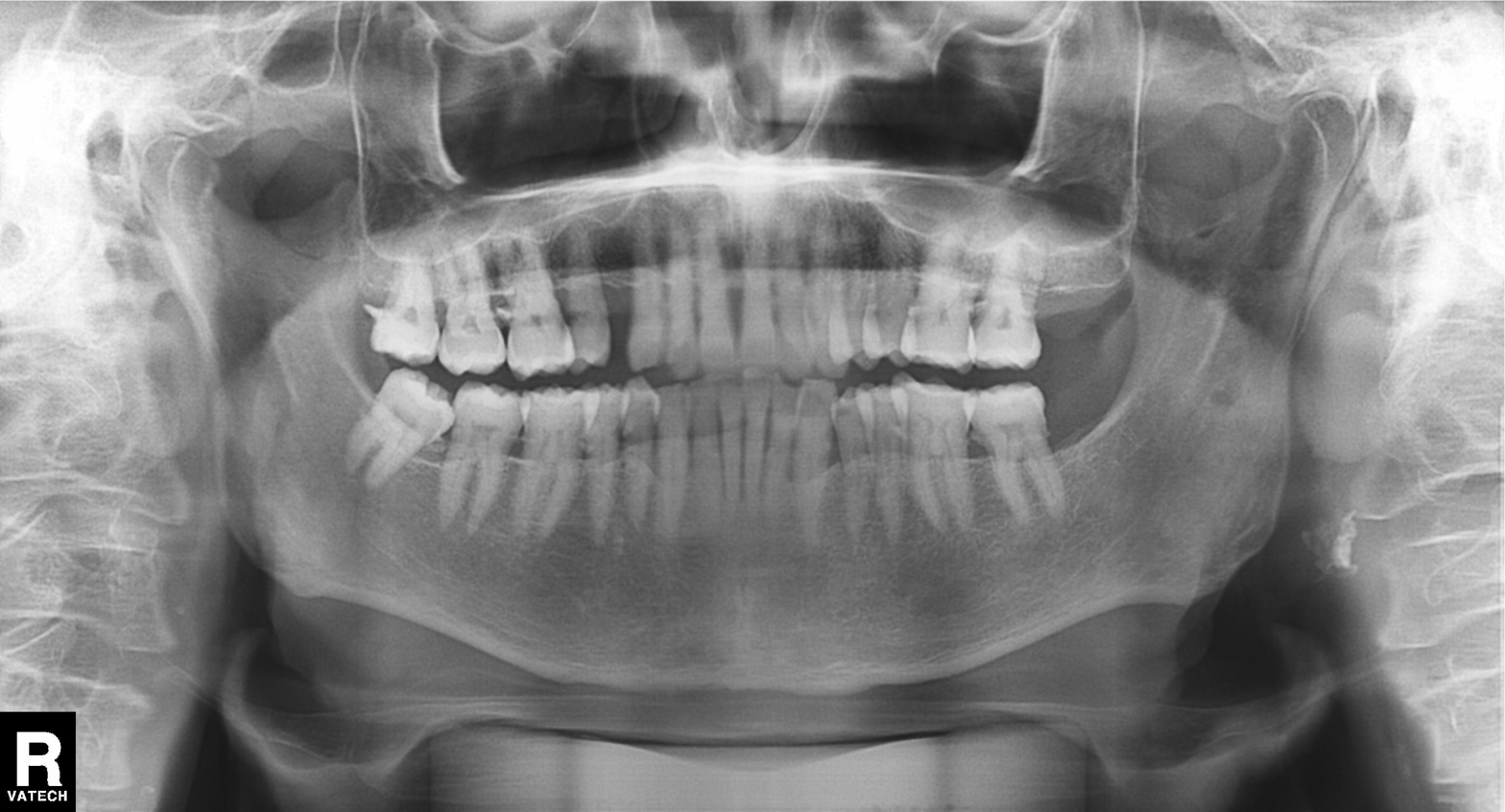
Panoramic dental radiograph (orthopantomogram). Finding: alveolar bone loss.